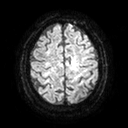
<study>
  <modality>
    <type>brain MRI</type>
    <field_strength>3T</field_strength>
  </modality>
  <series>diffusion tensor imaging (medium iso)</series>
  <study_topic>ring-enhancing brain masses</study_topic>
</study>